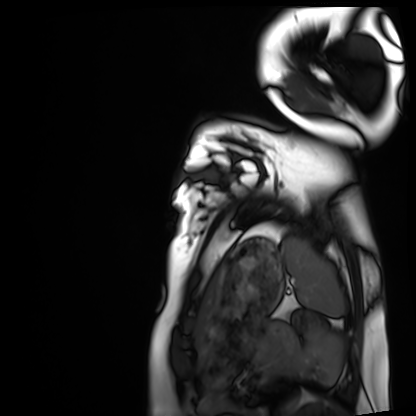
Cardiac MRI. Subject group: healthy volunteer.